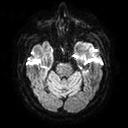
{"modality": {"type": "brain MRI", "field_strength": "3T"}, "series": "diffusion tensor imaging (medium iso)", "study_topic": "ring-enhancing brain masses"}